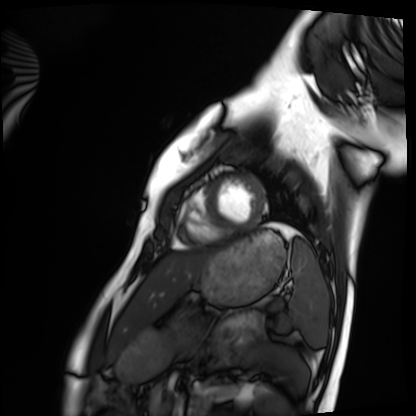
Case summary:
Cardiac MRI. Subject group: healthy volunteer.